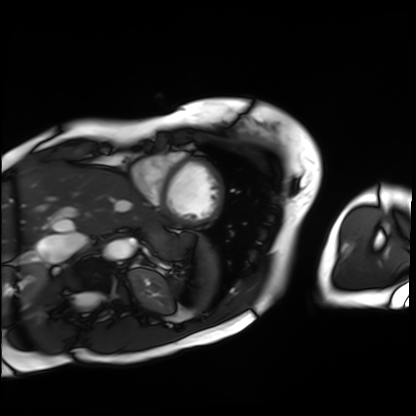
Summary:
Cardiac MRI. Subject group: patient.